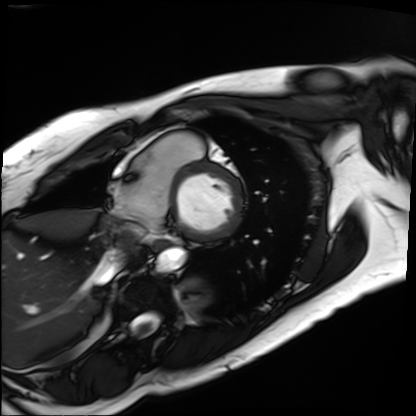
Cardiac MRI. Subject group: patient.